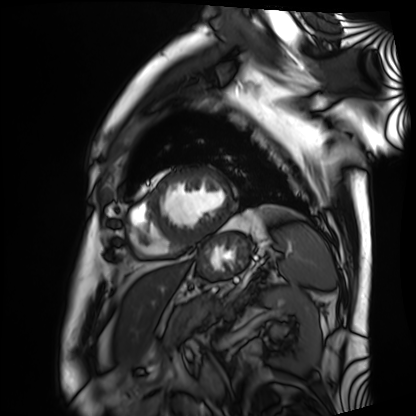
Cardiac MRI.
Subject group: patient.